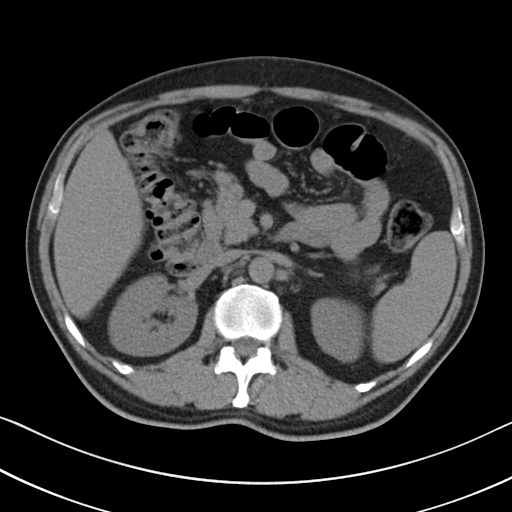
modality = multiphase abdominal CT, liver, non-contrast phase | patient = male, age 50 | history = viral hepatitis.